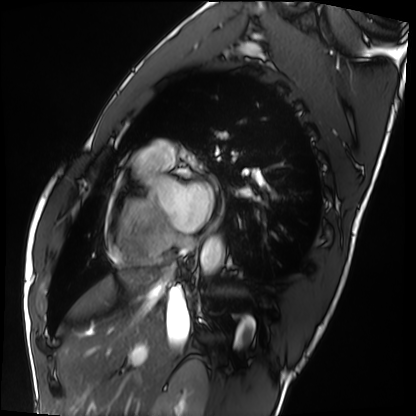
| field | value |
|---|---|
| modality | cardiac MRI |
| subject group | healthy volunteer |